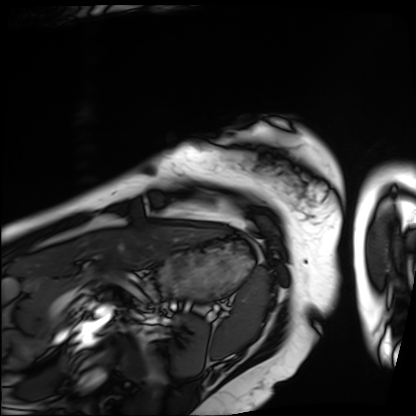
{
  "modality": "cardiac MRI",
  "cohort": "patient"
}